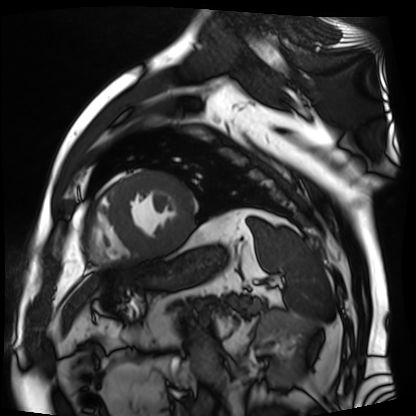
• modality · cardiac MR image of the myocardium
• subject cohort · cardiac patient